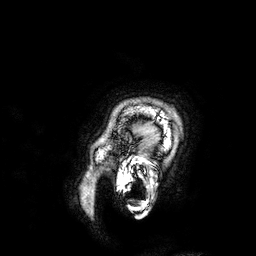
3 Tesla brain MRI. Series: 3D T1-weighted. Study: ring-enhancing brain masses.